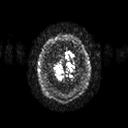
Case summary: 3 Tesla brain MRI. Series: diffusion tensor imaging (medium iso). Study: ring-enhancing brain masses.